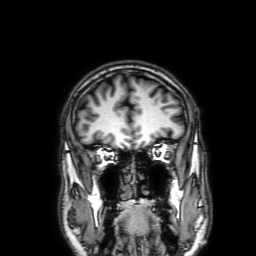
- modality: 3 Tesla brain MRI
- series: 3D T1-weighted with SENSE
- study: ring-enhancing brain masses